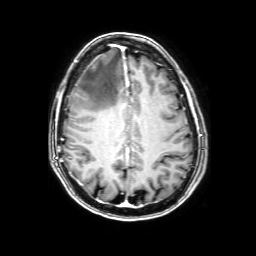
{
  "modality": {
    "type": "brain MRI",
    "field_strength": "3T"
  },
  "series": "3D T1-weighted with SENSE",
  "study_topic": "ring-enhancing brain masses"
}